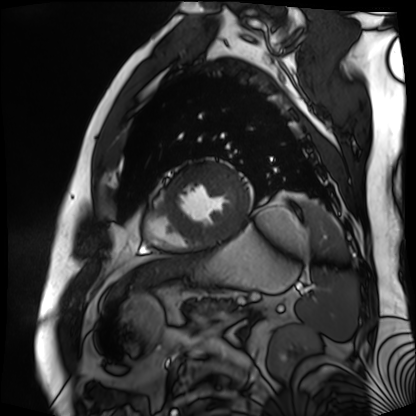
Q: What kind of scan is this?
A: Cardiac MR image of the myocardium.
Subject cohort: cardiac patient.